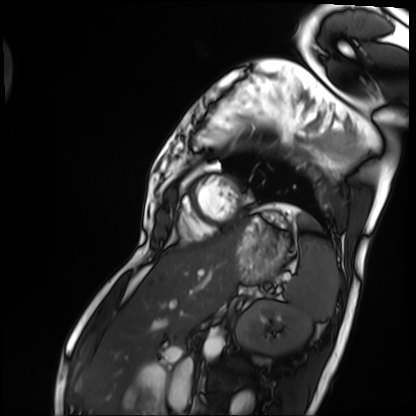
Q: What kind of scan is this?
A: Cardiac MRI.
Subject group: patient.